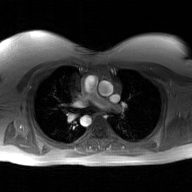
{"modality": {"type": "2D phase-contrast cine MRI", "region": "ascending aorta", "reconstruction": "GAN super-resolution reconstruction"}}